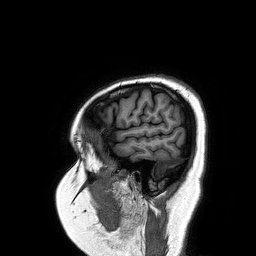
| field | value |
|---|---|
| modality | 3 Tesla brain MRI |
| series | 3D T1-weighted turbo field echo |
| study | ring-enhancing brain masses |